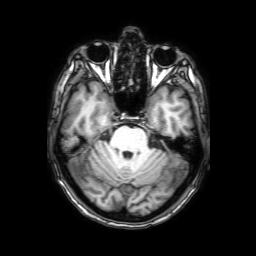
• modality · 3 Tesla brain MRI
• series · 3D T1-weighted with SENSE
• study · ring-enhancing brain masses